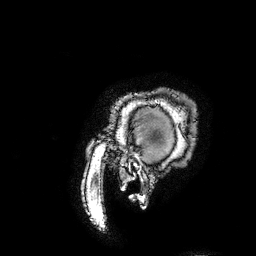
3 Tesla brain MRI. Series: 3D T1-weighted turbo field echo with SENSE. Study: ring-enhancing brain masses.